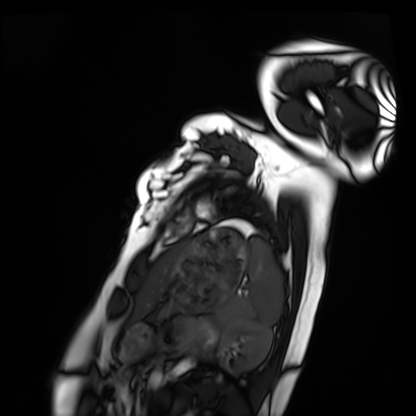
Cardiac MRI.
Subject group: healthy volunteer.